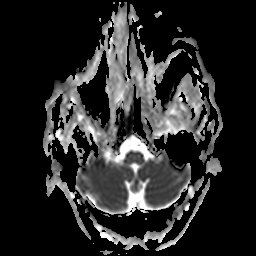
3 Tesla brain MRI.
Series: apparent diffusion coefficient (ADC) map.
Study: ring-enhancing brain masses.